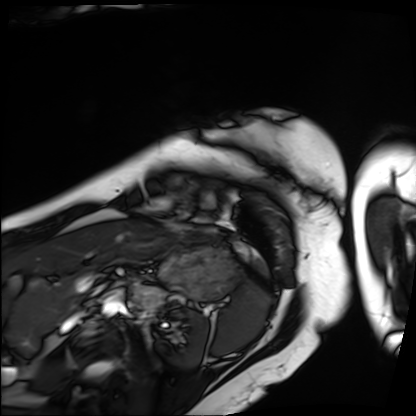
Summary:
Cardiac MRI. Subject group: patient.